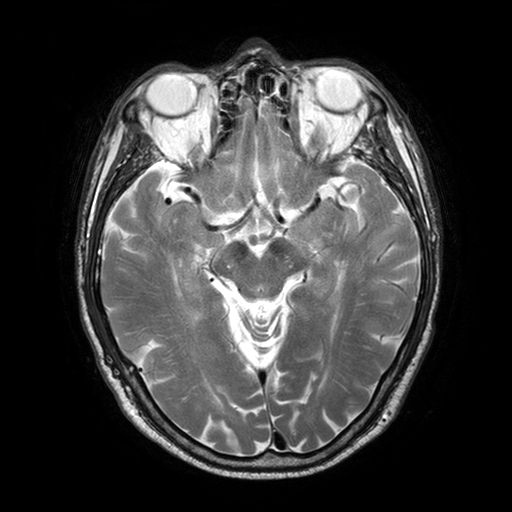
3 Tesla brain MRI.
Series: T2-weighted turbo spin echo with SENSE.
Study: ring-enhancing brain masses.